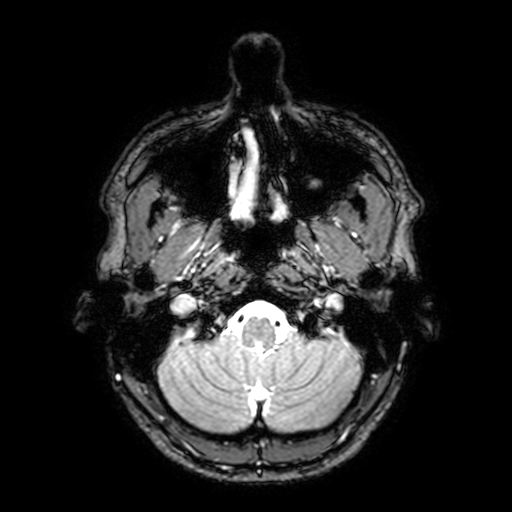
3 Tesla brain MRI.
Series: T2-weighted fast field echo with SENSE.
Study: ring-enhancing brain masses.